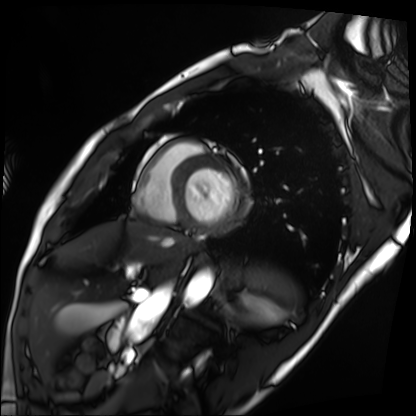
Cardiac MRI.
Subject group: patient.